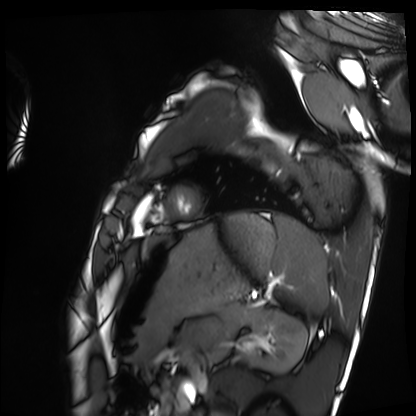
{"modality": "cardiac MRI", "cohort": "healthy volunteer"}